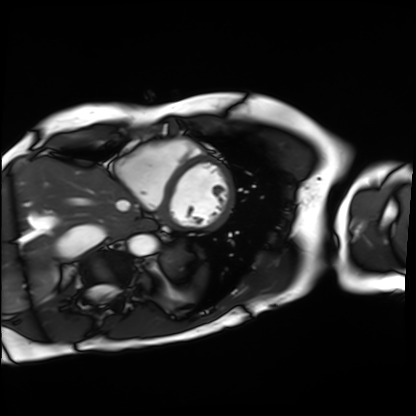
Cardiac MRI. Subject group: patient.